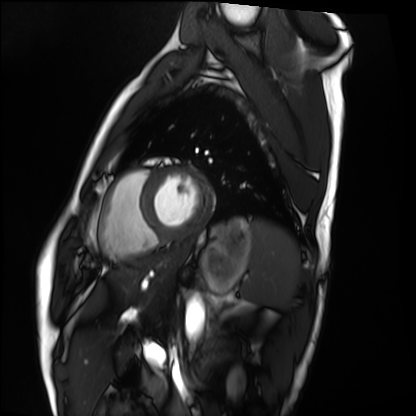
  modality: cardiac MRI
  cohort: healthy volunteer